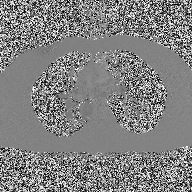
* modality · 2D phase-contrast cine MRI of the ascending aorta